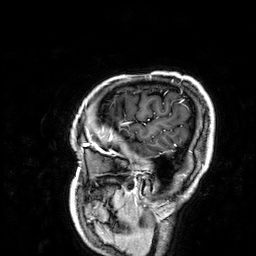
• modality: 3 Tesla brain MRI
• series: 3D T1-weighted
• study: ring-enhancing brain masses